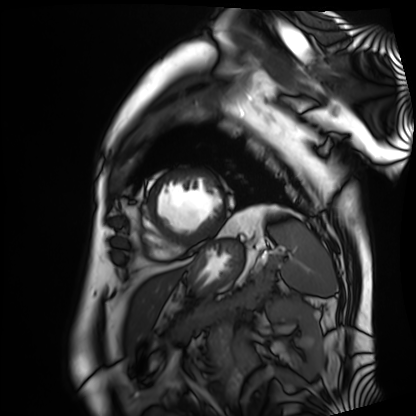
Case summary:
Cardiac MRI. Subject group: patient.